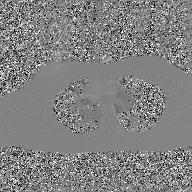
| field | value |
|---|---|
| modality | 2D phase-contrast cine MRI of the ascending aorta, GAN super-resolution reconstruction |